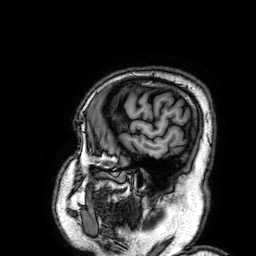
<scan>
<modality>
  <type>brain MRI</type>
  <field_strength>3T</field_strength>
</modality>
<series>3D T1-weighted</series>
<study_topic>ring-enhancing brain masses</study_topic>
</scan>